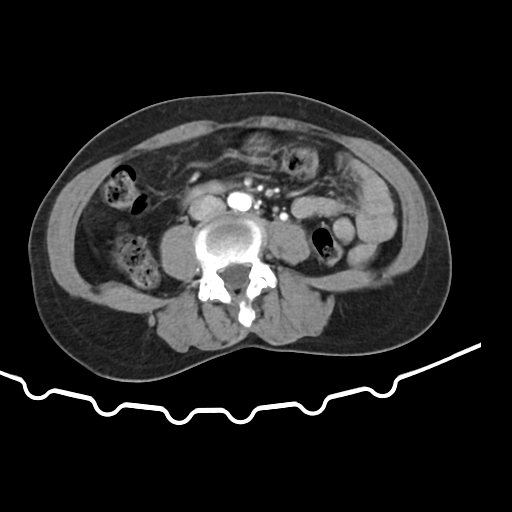
Multiphase abdominal CT, liver, arterial phase.